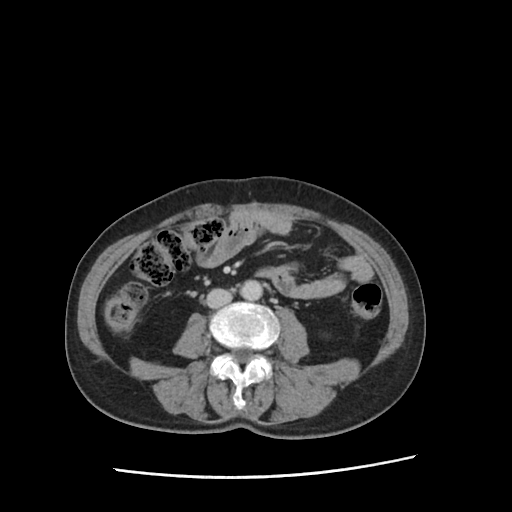
Multiphase abdominal CT, liver, portal venous phase. Patient: female, age 71.